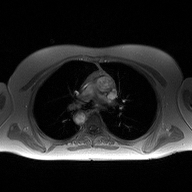
Q: What kind of scan is this?
A: 2D phase-contrast cine MRI of the ascending aorta.